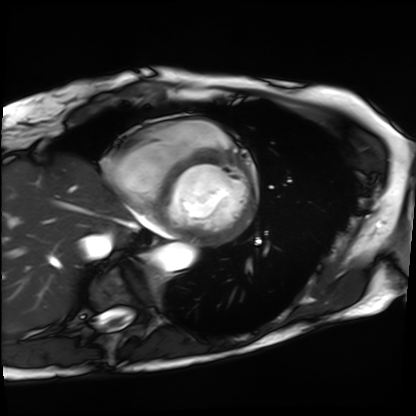
modality: cardiac MRI
cohort: patient